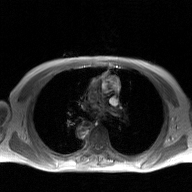
Case:
• modality — 2D phase-contrast cine MRI of the ascending aorta, GAN super-resolution reconstruction